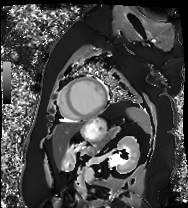
Case summary:
Cardiac MRI. Subject group: patient.